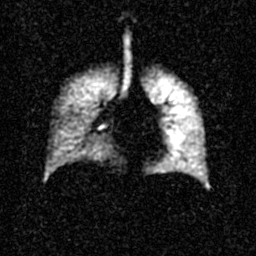
modality: hyperpolarized 129Xe ventilation MRI of the lungs | SNR level: 3 of 8 (the deposit holds this scan as its native image and as seven SNR-degraded versions).